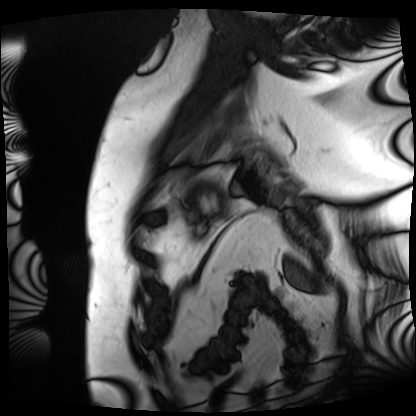
Q: What kind of scan is this?
A: Cardiac MRI.
Subject group: patient.